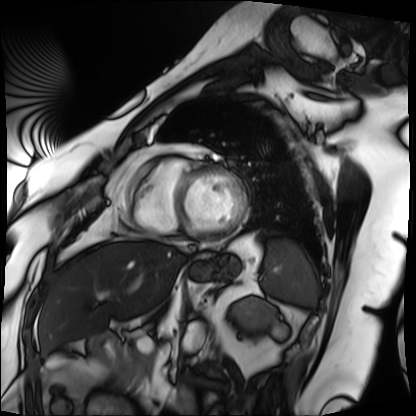
modality: cardiac MRI, subject group: patient.